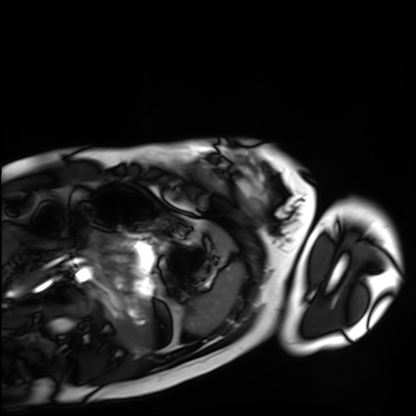
- modality — cardiac MRI
- subject group — healthy volunteer